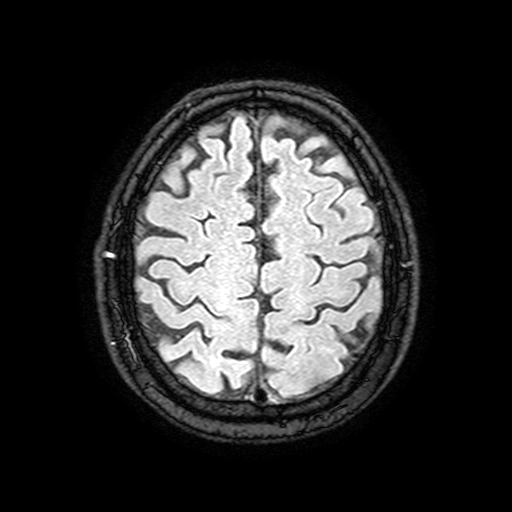
3 Tesla brain MRI. Series: FLAIR with SPAIR, 3 mm. Study: ring-enhancing brain masses.